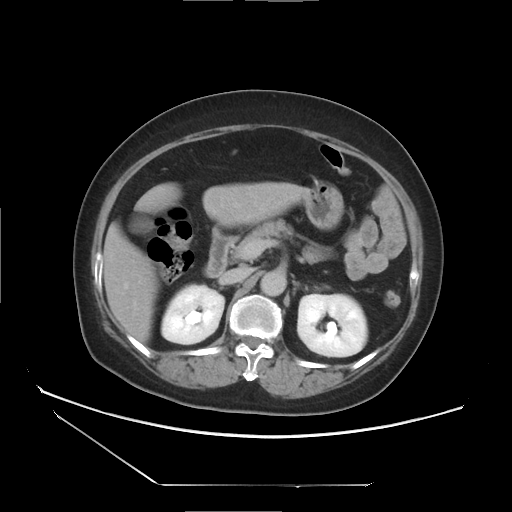
Summary:
Multiphase abdominal CT, liver, delayed phase. Patient: female, age 61. History: viral hepatitis.